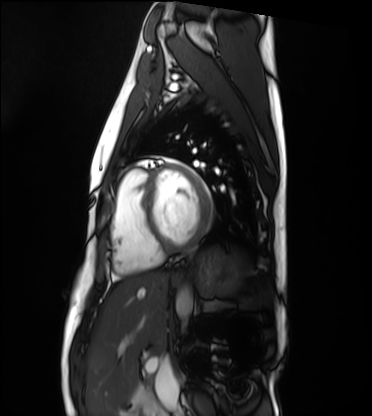
Cardiac MRI.
Subject group: healthy volunteer.